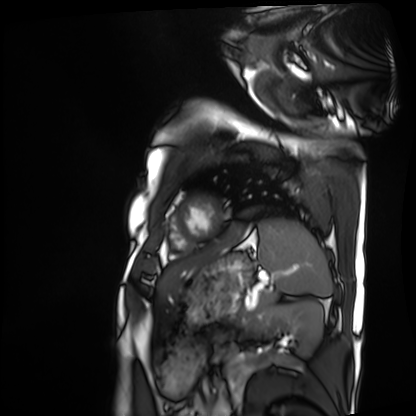
{"modality": "cardiac MRI", "cohort": "patient"}